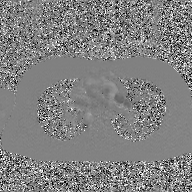
modality: 2D phase-contrast cine MRI of the ascending aorta, GAN super-resolution reconstruction